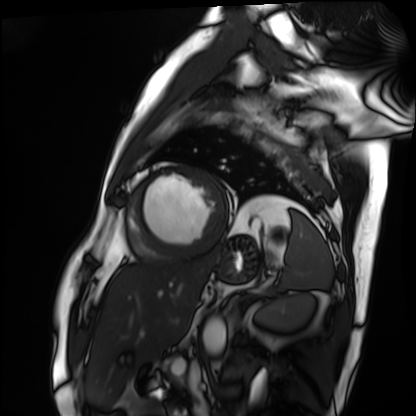
Cardiac MRI.
Subject group: patient.